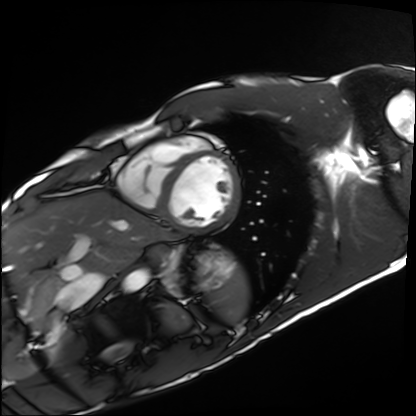
- modality — cardiac MRI
- subject group — healthy volunteer